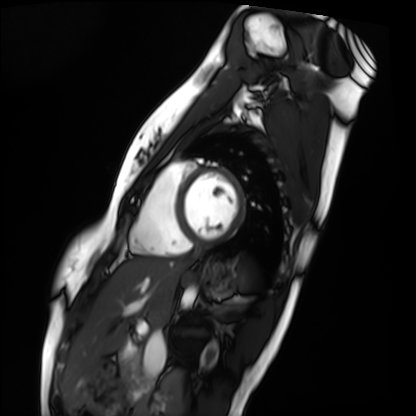
| field | value |
|---|---|
| modality | cardiac MRI |
| subject group | healthy volunteer |